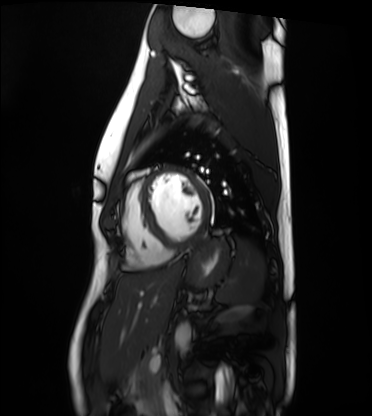
Cardiac MRI. Subject group: healthy volunteer.